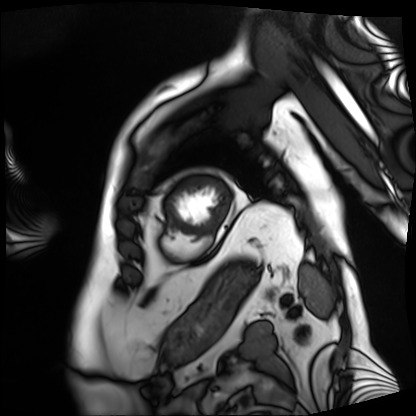
Q: What kind of scan is this?
A: Cardiac MRI.
Subject group: patient.